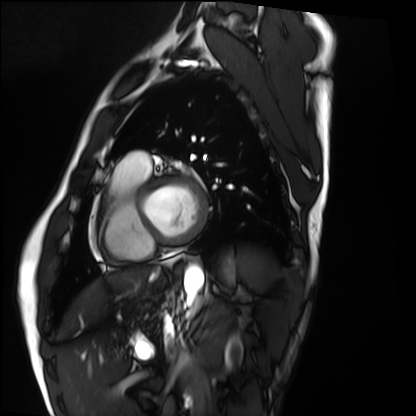
modality = cardiac MRI; subject group = healthy volunteer.